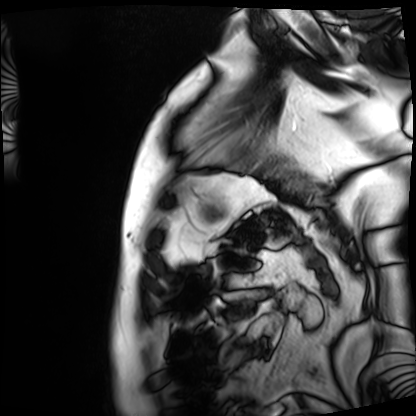
<record>
  <modality>cardiac MRI</modality>
  <cohort>patient</cohort>
</record>